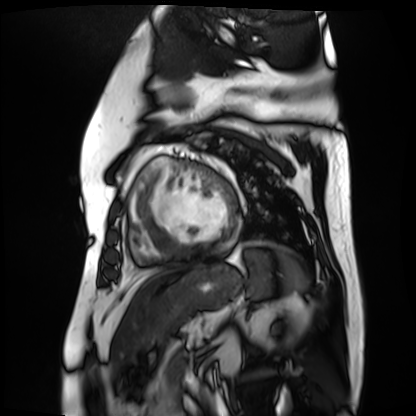
Case:
• modality — cardiac MR image of the myocardium
• subject cohort — cardiac patient